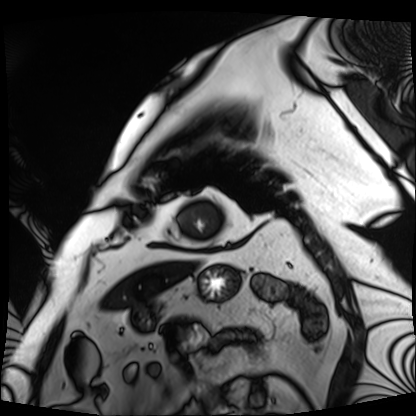
• modality — cardiac MRI
• subject group — patient